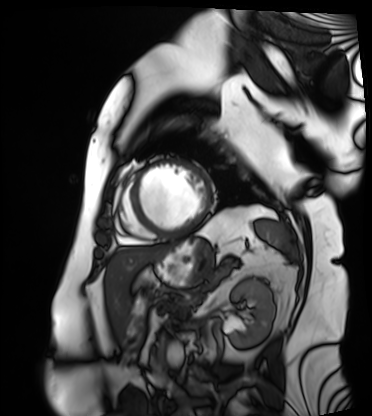
modality — cardiac MRI; subject group — patient.